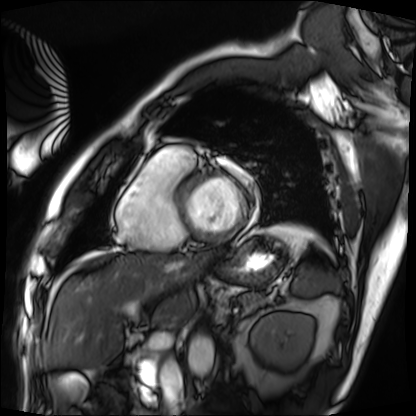
Cardiac MRI.
Subject group: patient.